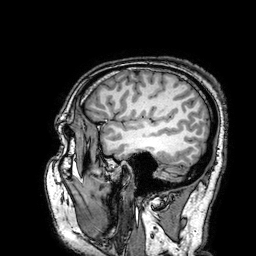
3 Tesla brain MRI. Series: 3D T1-weighted turbo field echo with SENSE. Study: ring-enhancing brain masses.